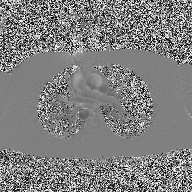
2D phase-contrast cine MRI of the ascending aorta, high-resolution GRAPPA acquisition.